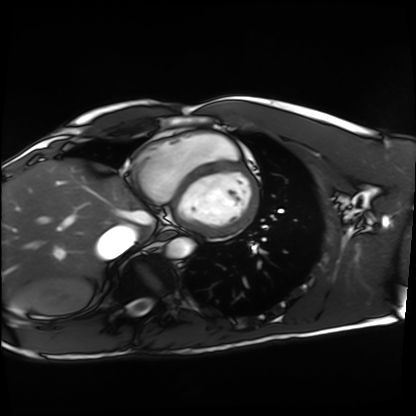
modality: cardiac MRI, subject group: healthy volunteer.